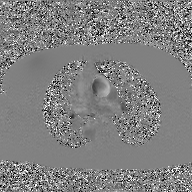
modality=2D phase-contrast cine MRI of the ascending aorta, GAN super-resolution reconstruction